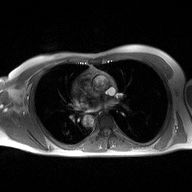
2D phase-contrast cine MRI of the ascending aorta, high-resolution GRAPPA acquisition.